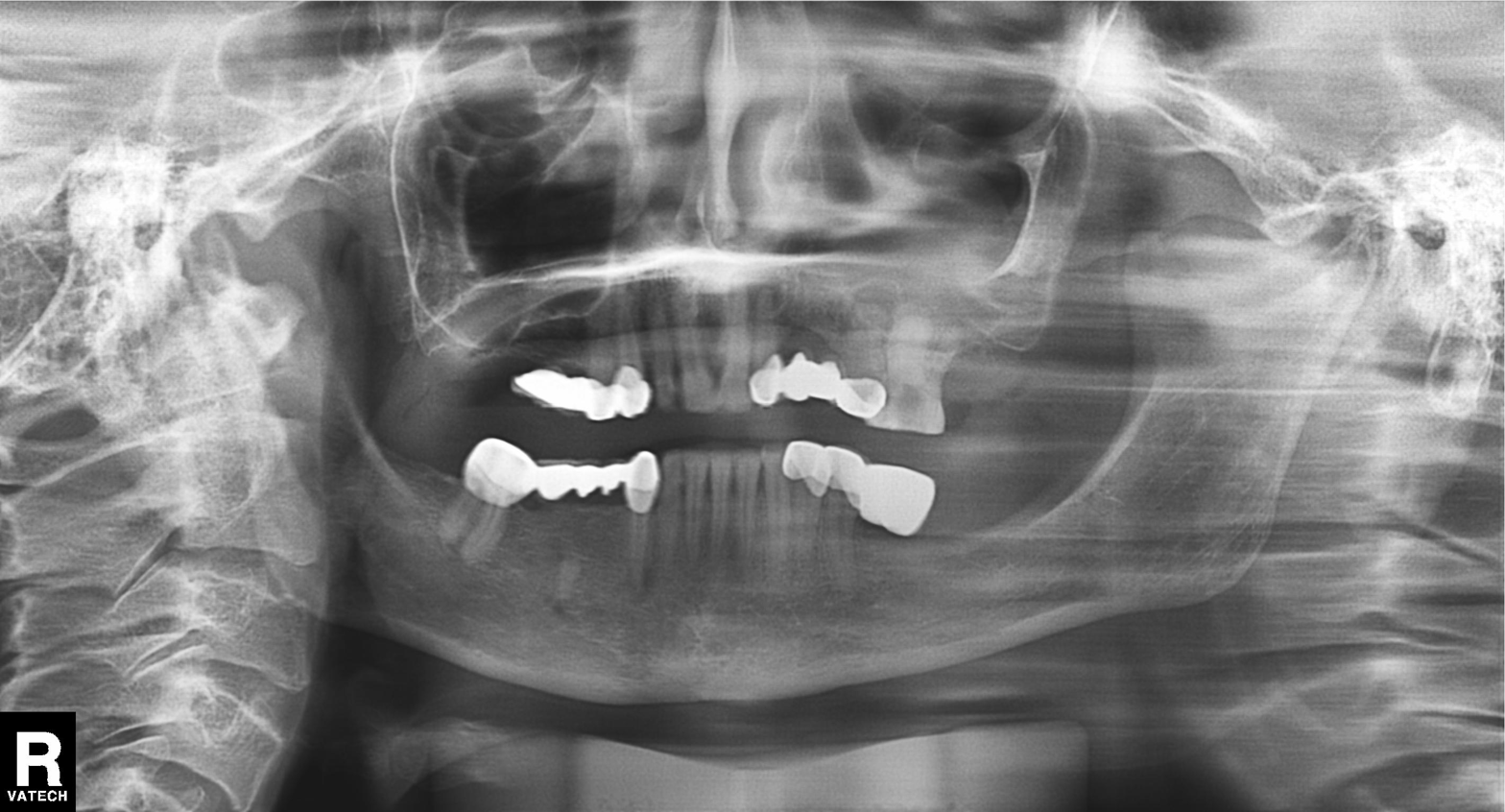
{
  "modality": "panoramic dental radiograph (orthopantomogram)",
  "finding": "dental caries (cavities)"
}